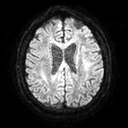
Q: What kind of scan is this?
A: 3 Tesla brain MRI.
Q: Series?
A: Diffusion tensor imaging (medium iso).
Study: ring-enhancing brain masses.